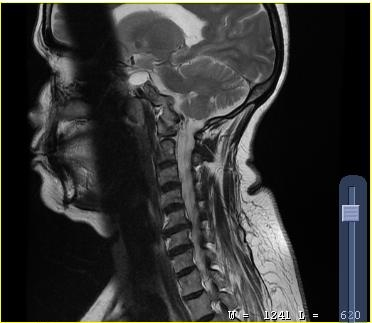
Clinical context: MRI of the cervical spine. Study: cervical spondylosis.